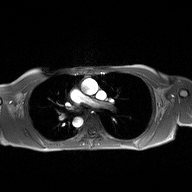
modality: 2D phase-contrast cine MRI of the ascending aorta.